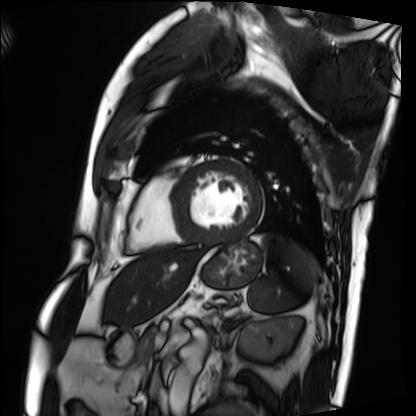
Cardiac MRI.
Subject group: patient.